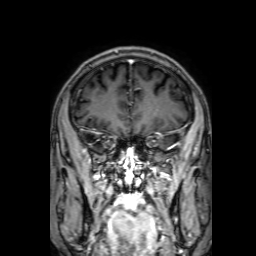
3 Tesla brain MRI. Series: 3D T1-weighted with SENSE. Study: ring-enhancing brain masses.